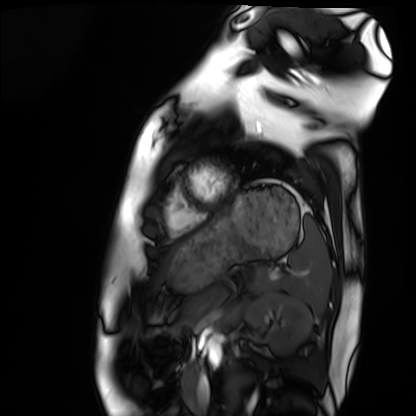
Q: What kind of scan is this?
A: Cardiac MRI.
Subject group: healthy volunteer.